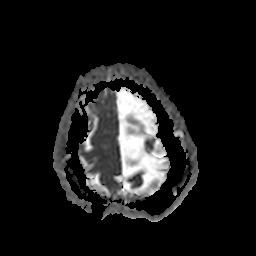
{
  "modality": {
    "type": "brain MRI",
    "field_strength": "3T"
  },
  "series": "apparent diffusion coefficient (ADC) map",
  "study_topic": "ring-enhancing brain masses"
}